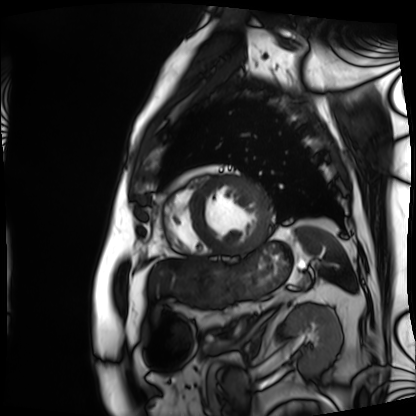
- modality — cardiac MRI
- subject group — patient